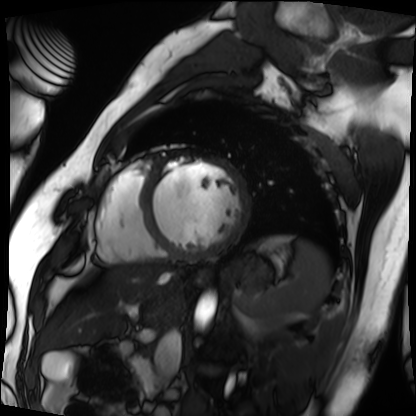
{"modality": "cardiac MRI", "cohort": "patient"}